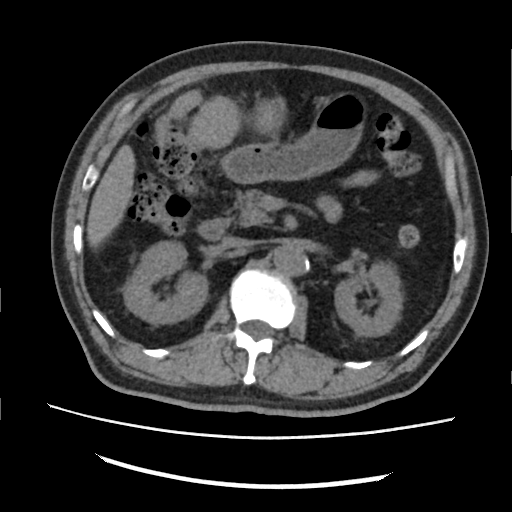
Multiphase abdominal CT, liver, non-contrast phase.